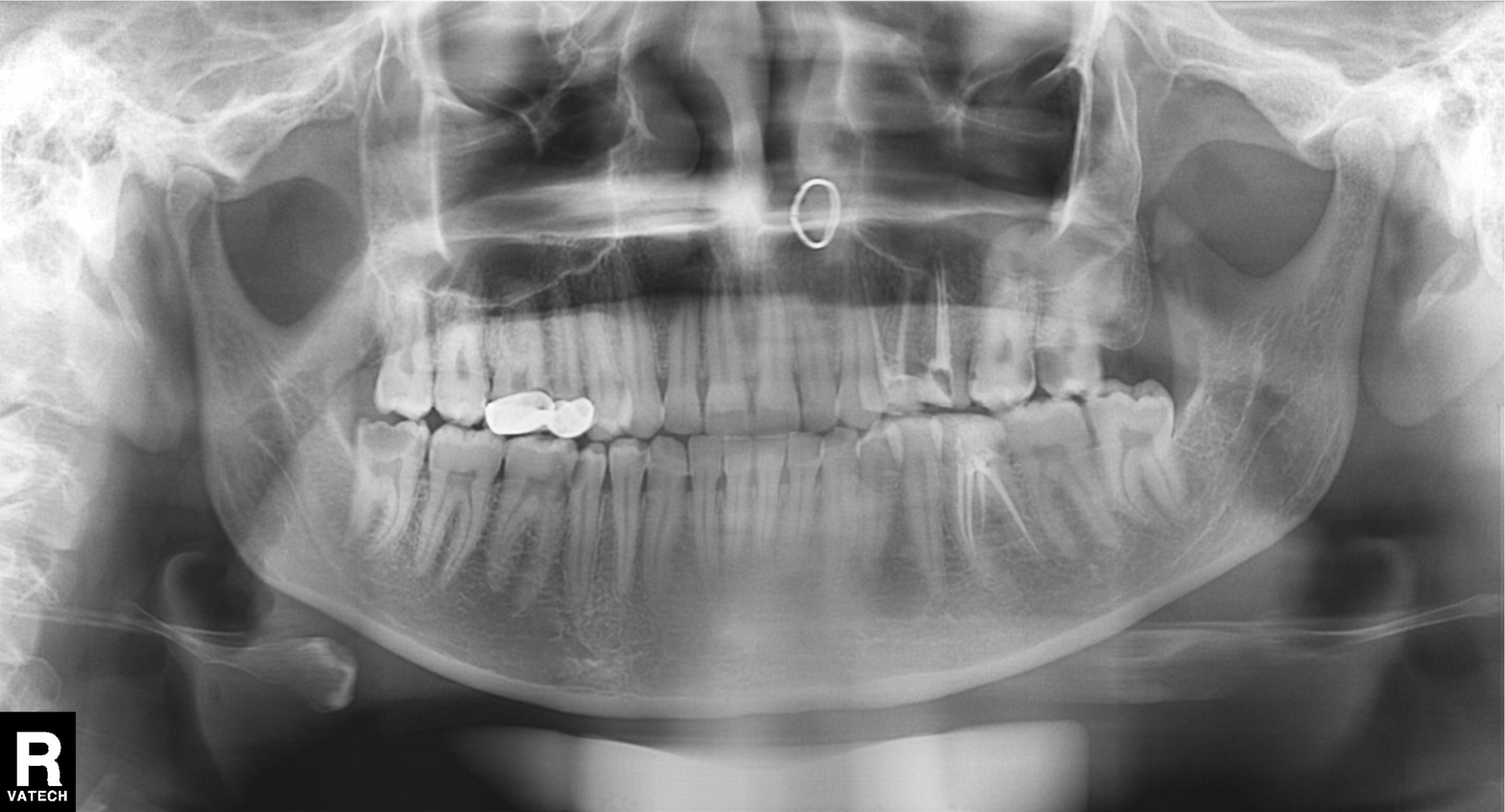
| feature | finding |
|---|---|
| modality | panoramic dental radiograph (orthopantomogram) |
| finding | dental caries (cavities) |